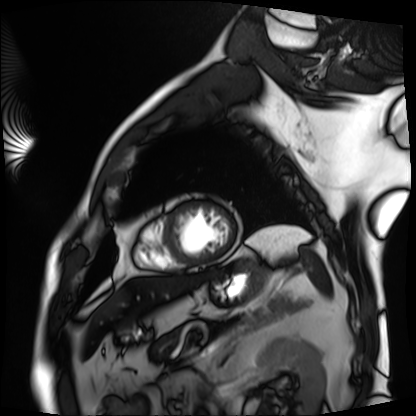
Cardiac MRI.
Subject group: patient.